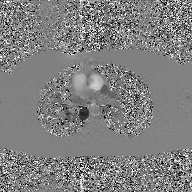
modality=2D phase-contrast cine MRI of the ascending aorta, GAN super-resolution reconstruction.